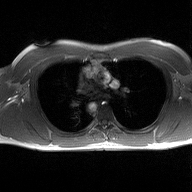
Case:
- modality · 2D phase-contrast cine MRI of the ascending aorta